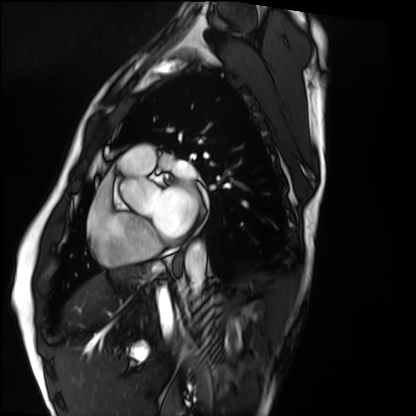
Clinical context:
Cardiac MRI. Subject group: healthy volunteer.